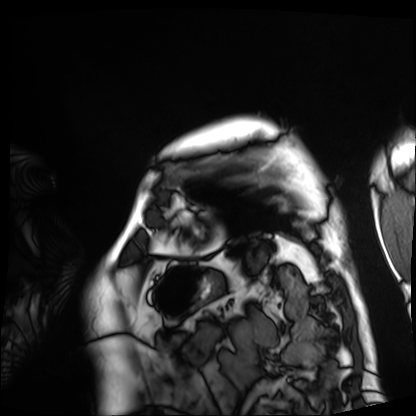
Cardiac MRI. Subject group: patient.